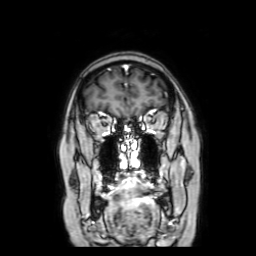
modality: 3 Tesla brain MRI; series: coronal with contrast; study: ring-enhancing brain masses.